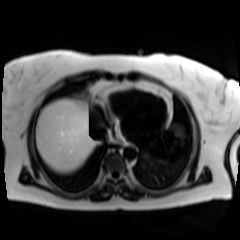
  modality: chemical-shift-encoded cardiac MRI